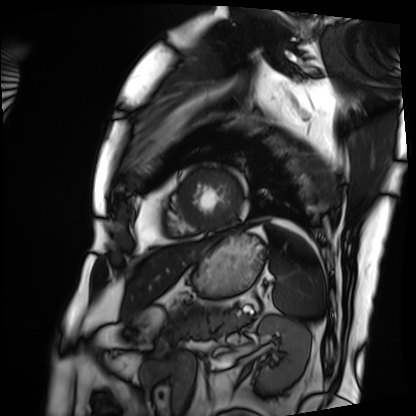
Cardiac MRI.
Subject group: patient.